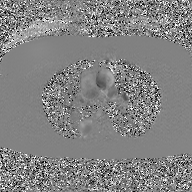
modality = 2D phase-contrast cine MRI of the ascending aorta, GAN super-resolution reconstruction